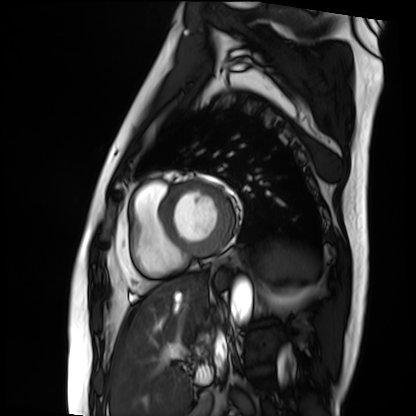
modality = cardiac MRI, subject group = patient.